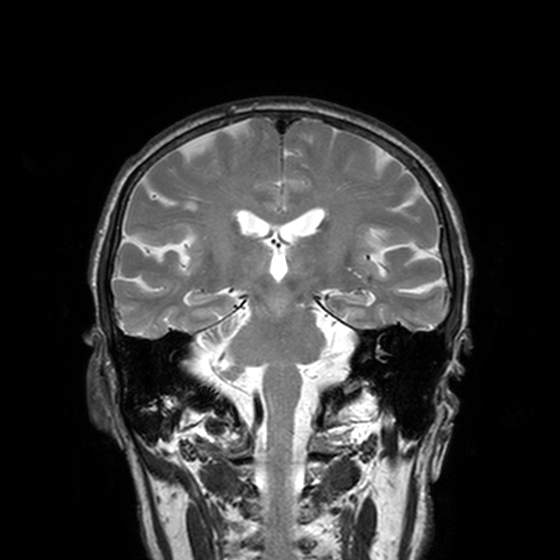
3 Tesla brain MRI. Series: T2-weighted turbo spin echo, 3 mm. Study: ring-enhancing brain masses.